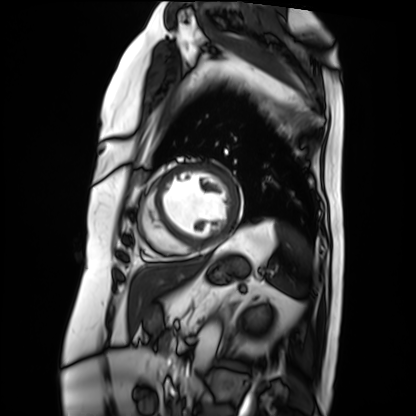
Cardiac MRI. Subject group: patient.